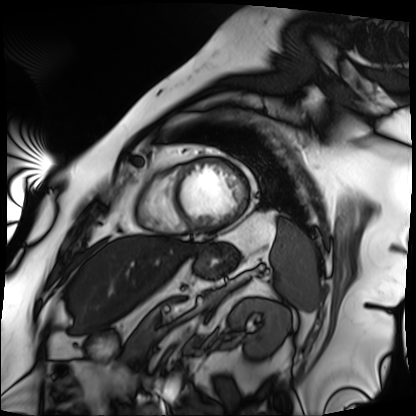
Cardiac MRI. Subject group: patient.